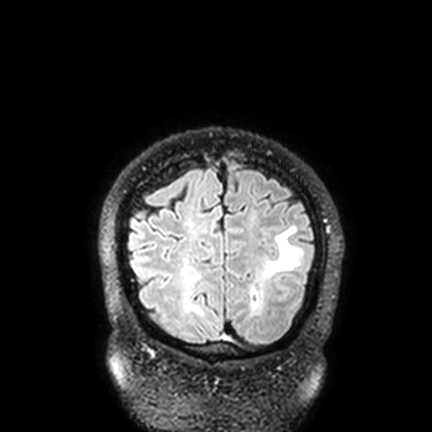
• modality · 3 Tesla brain MRI
• series · FLAIR VISTA with SENSE
• study · ring-enhancing brain masses